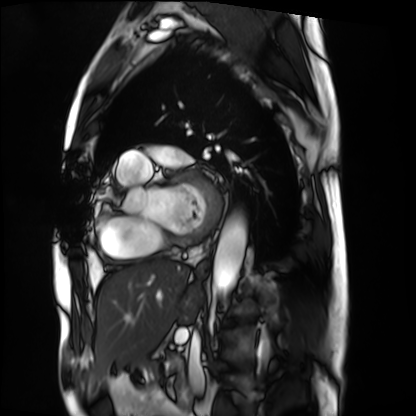
Summary: Cardiac MRI. Subject group: patient.